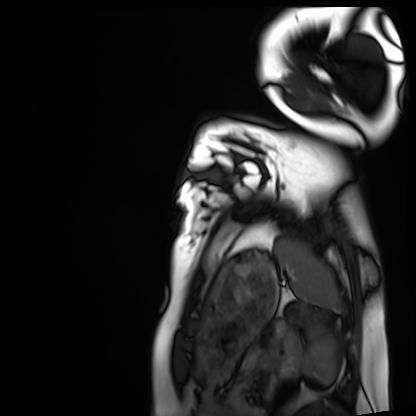
Clinical context:
Cardiac MRI. Subject group: healthy volunteer.